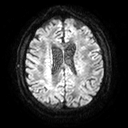
3 Tesla brain MRI.
Series: diffusion tensor imaging (medium iso).
Study: ring-enhancing brain masses.